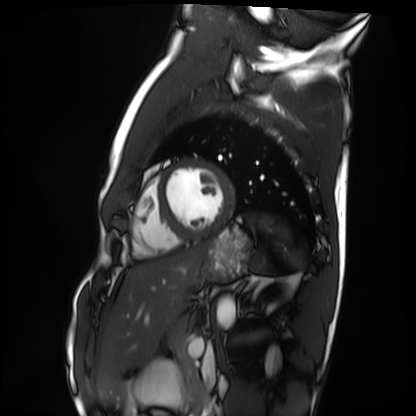
– modality: cardiac MRI
– subject group: healthy volunteer